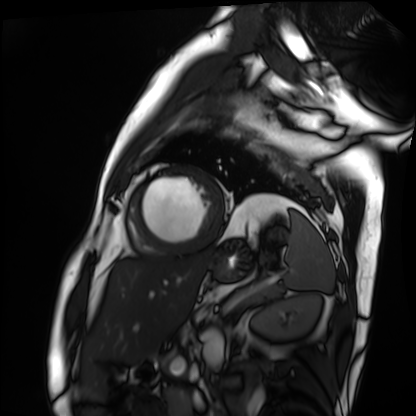
Cardiac MRI. Subject group: patient.